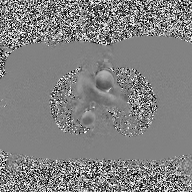
modality: 2D phase-contrast cine MRI of the ascending aorta.